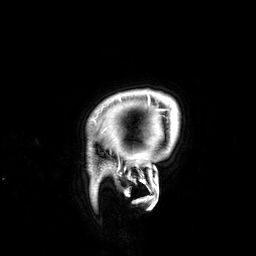
3 Tesla brain MRI. Series: 3D T1-weighted. Study: ring-enhancing brain masses.